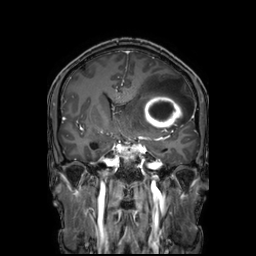
| field | value |
|---|---|
| modality | 3 Tesla brain MRI |
| series | 3D T1-weighted TFE with SENSE |
| study | ring-enhancing brain masses |